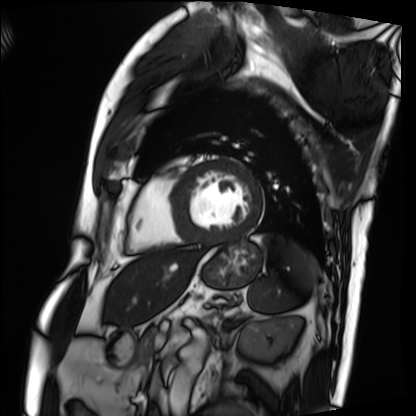
Summary:
Cardiac MRI. Subject group: patient.